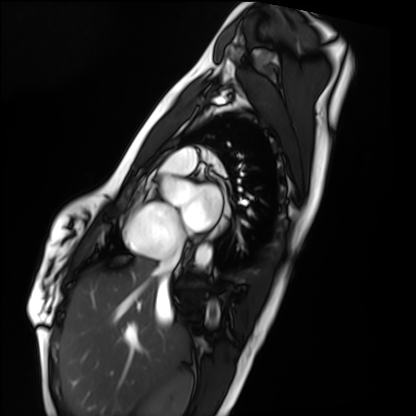
Q: What kind of scan is this?
A: Cardiac MRI.
Subject group: healthy volunteer.